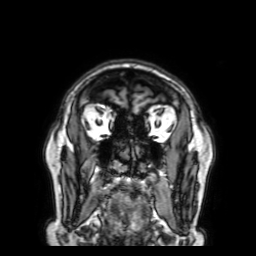
modality: 3 Tesla brain MRI | series: 3D T1-weighted with SENSE | study: ring-enhancing brain masses.